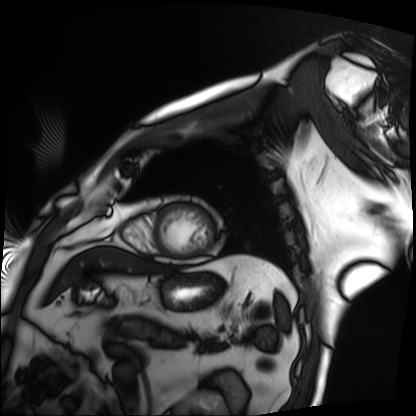
Cardiac MRI. Subject group: patient.